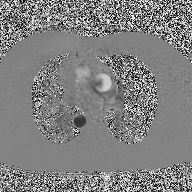
Q: What kind of scan is this?
A: 2D phase-contrast cine MRI of the ascending aorta.